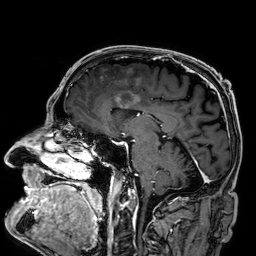
<record>
  <modality>
    <type>brain MRI</type>
    <field_strength>3T</field_strength>
  </modality>
  <series>3D T1-weighted</series>
  <study_topic>ring-enhancing brain masses</study_topic>
</record>